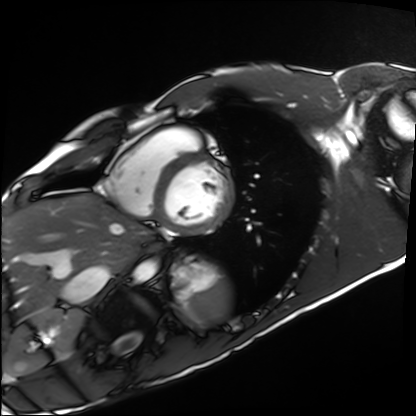
Q: What kind of scan is this?
A: Cardiac MRI.
Subject group: healthy volunteer.